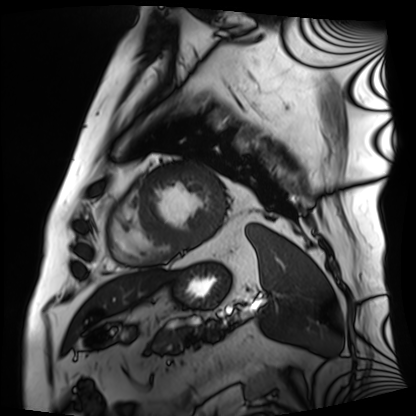
Cardiac MRI. Subject group: patient.